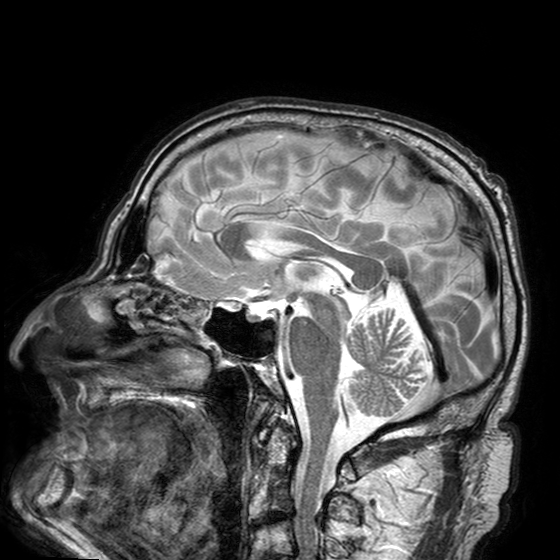
Summary:
3 Tesla brain MRI. Series: T2-weighted turbo spin echo with SENSE. Study: ring-enhancing brain masses.